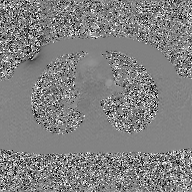
Summary: 2D phase-contrast cine MRI of the ascending aorta, GAN super-resolution reconstruction.